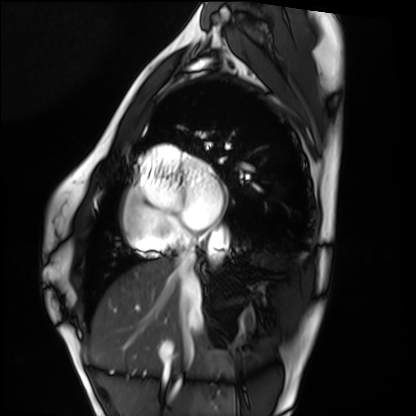
{"modality": "cardiac MRI", "cohort": "healthy volunteer"}